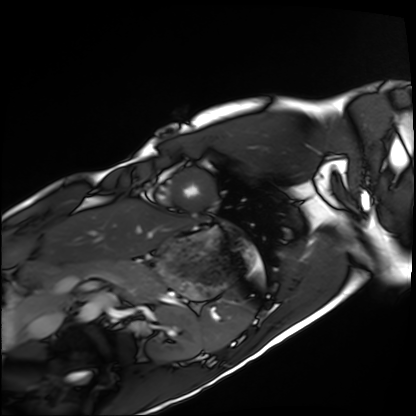
modality = cardiac MRI, subject group = healthy volunteer.